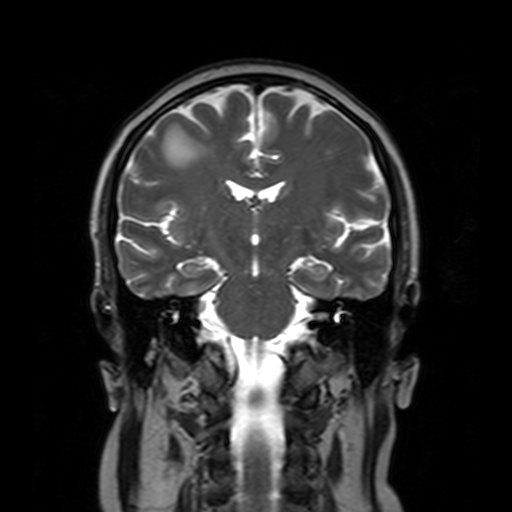
– modality: 3 Tesla brain MRI
– series: T2-weighted turbo spin echo with SENSE
– study: ring-enhancing brain masses